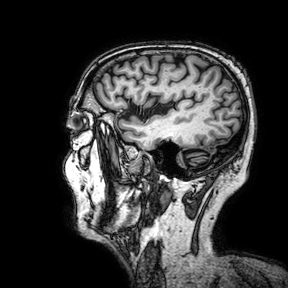
Q: What kind of scan is this?
A: 3 Tesla brain MRI.
Q: Series?
A: 3D T1-weighted turbo field echo with SENSE.
Study: ring-enhancing brain masses.